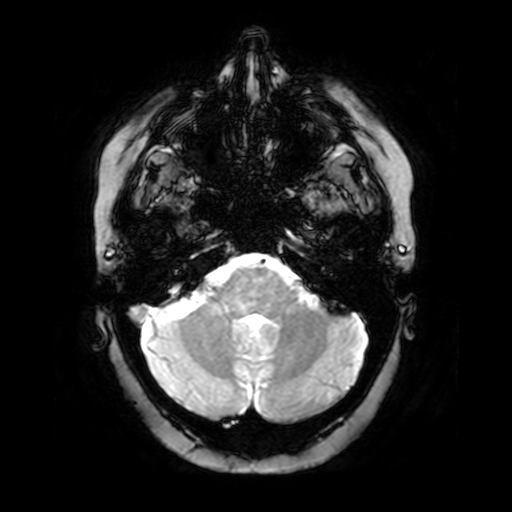
Case:
• modality — 3 Tesla brain MRI
• series — T2-weighted fast field echo
• study — ring-enhancing brain masses